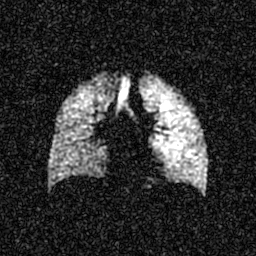
Case:
• modality · hyperpolarized 129Xe ventilation MRI of the lungs
• SNR level · 5 of 8 (the deposit holds this scan as its native image and as seven SNR-degraded versions)